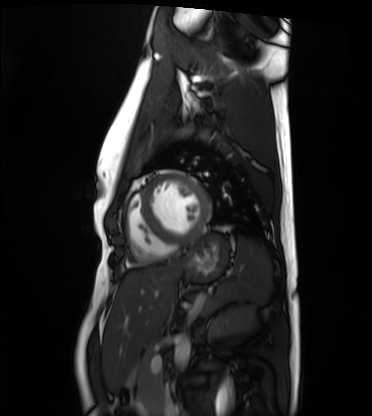
Cardiac MRI.
Subject group: healthy volunteer.